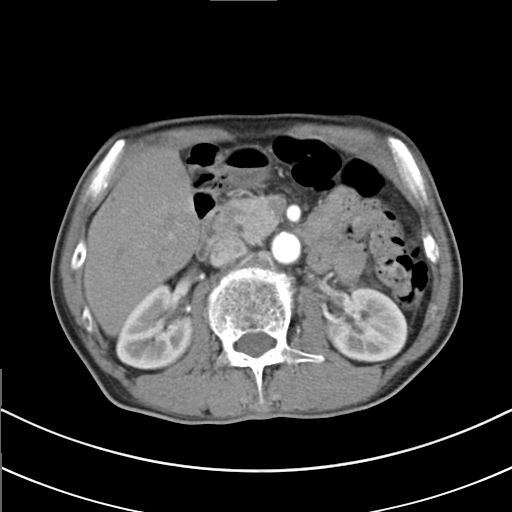
Multiphase abdominal CT, liver, arterial phase.
Patient: male, age 69.
History: cirrhosis, viral hepatitis.